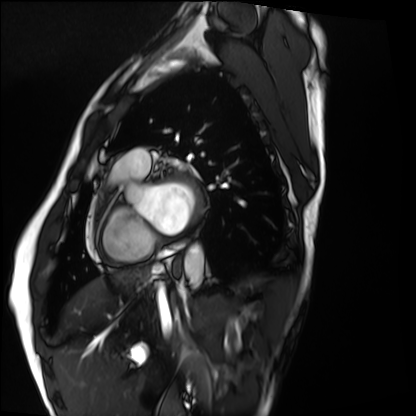
Q: What kind of scan is this?
A: Cardiac MRI.
Subject group: healthy volunteer.